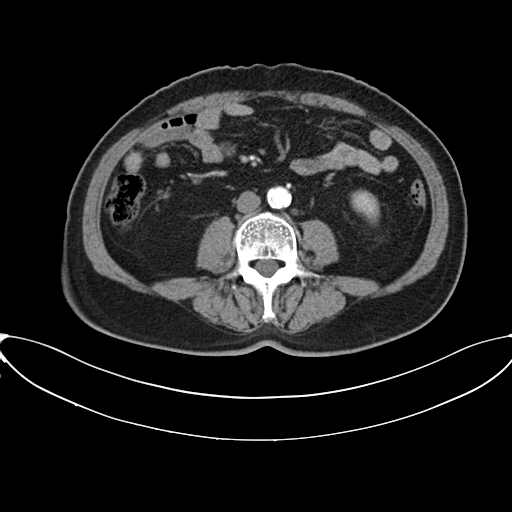
Q: What kind of scan is this?
A: Multiphase abdominal CT, liver, arterial phase.
Q: Patient?
A: Male, age 66.
Q: History?
A: Viral hepatitis.